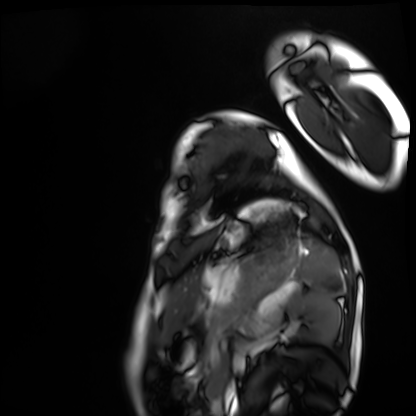
Clinical context:
Cardiac MRI. Subject group: healthy volunteer.